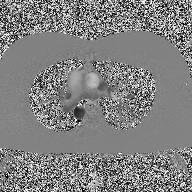
* modality: 2D phase-contrast cine MRI of the ascending aorta